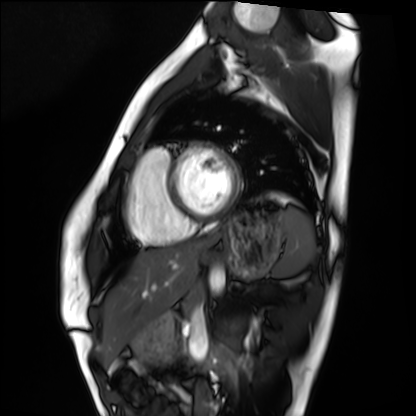
Q: What kind of scan is this?
A: Cardiac MRI.
Subject group: healthy volunteer.